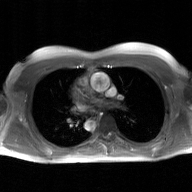
2D phase-contrast cine MRI of the ascending aorta, GAN super-resolution reconstruction.